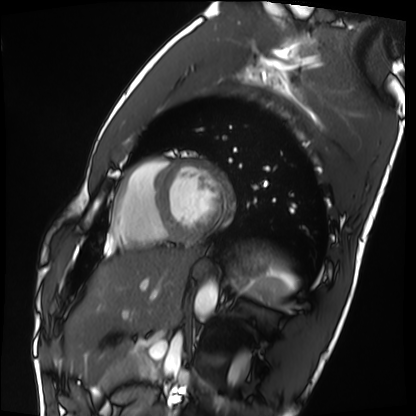
* modality · cardiac MRI
* subject group · healthy volunteer